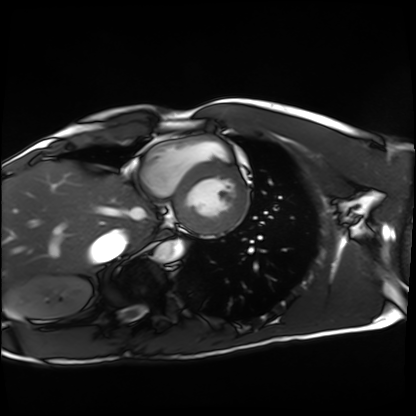
modality = cardiac MRI | subject group = healthy volunteer.